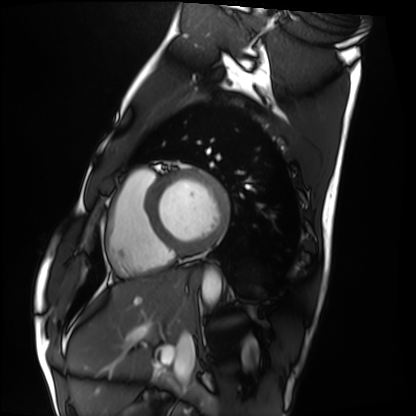
Q: What kind of scan is this?
A: Cardiac MRI.
Subject group: healthy volunteer.